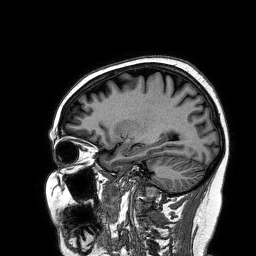
3 Tesla brain MRI.
Series: 3D T1-weighted turbo field echo.
Study: ring-enhancing brain masses.